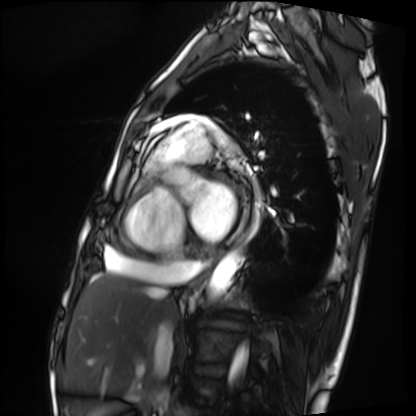
modality = cardiac MRI
subject group = patient